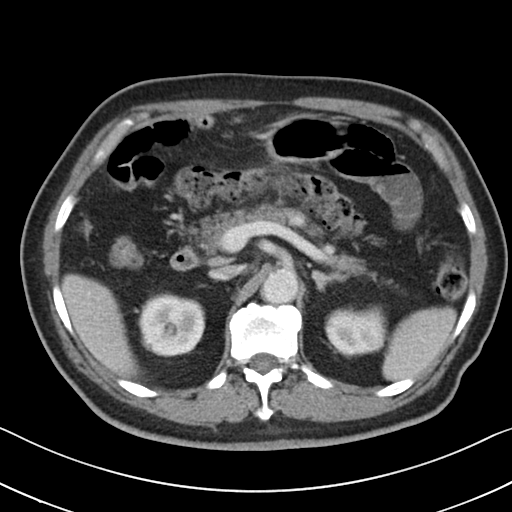
modality: multiphase abdominal CT, liver, portal venous phase | patient: male, age 79.